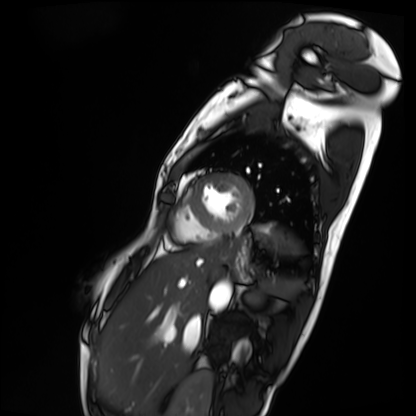
| field | value |
|---|---|
| modality | cardiac MRI |
| subject group | patient |